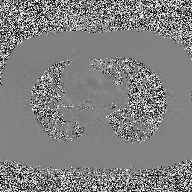
Q: What kind of scan is this?
A: 2D phase-contrast cine MRI of the ascending aorta.